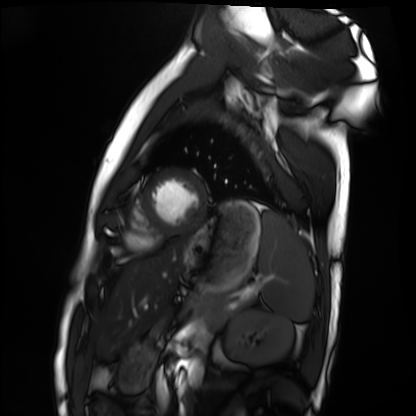
modality=cardiac MRI
subject group=healthy volunteer